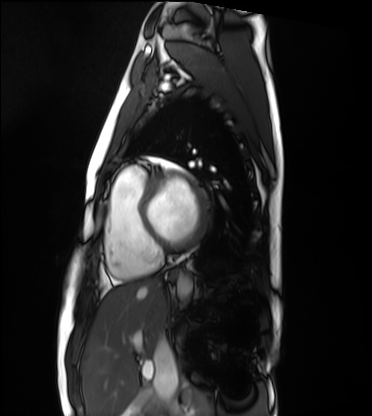
• modality · cardiac MRI
• subject group · healthy volunteer